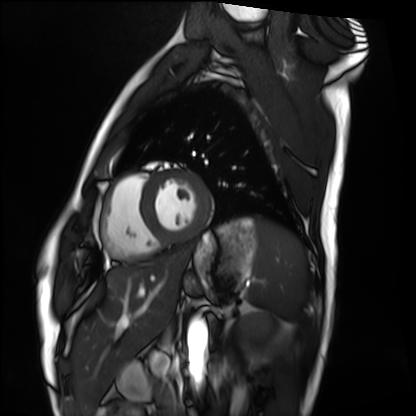
Cardiac MRI.
Subject group: healthy volunteer.